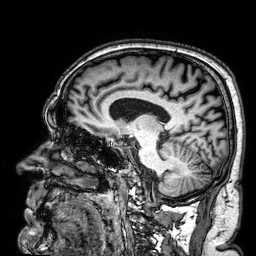
Clinical context:
3 Tesla brain MRI. Series: 3D T1-weighted. Study: ring-enhancing brain masses.